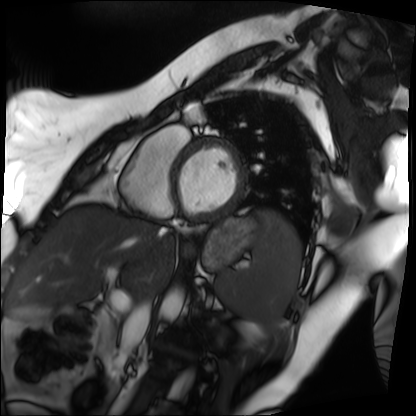
modality: cardiac MRI; subject group: patient.